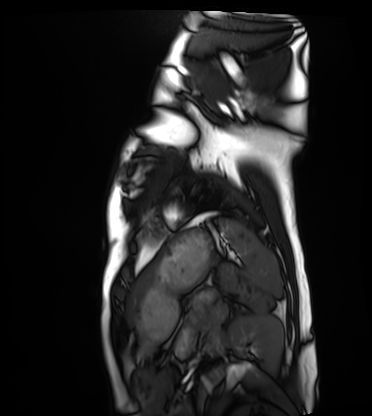
Clinical context:
Cardiac MRI. Subject group: healthy volunteer.